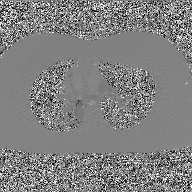
modality — 2D phase-contrast cine MRI of the ascending aorta, GAN super-resolution reconstruction